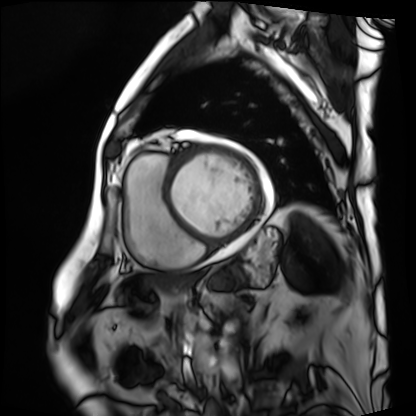
  modality: cardiac MRI
  cohort: patient